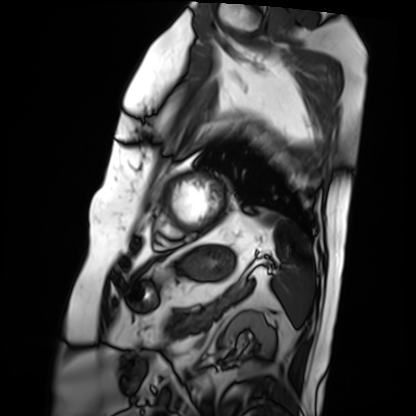
– modality — cardiac MRI
– subject group — patient